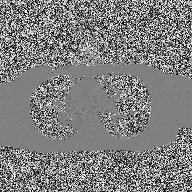
2D phase-contrast cine MRI of the ascending aorta, high-resolution GRAPPA acquisition.